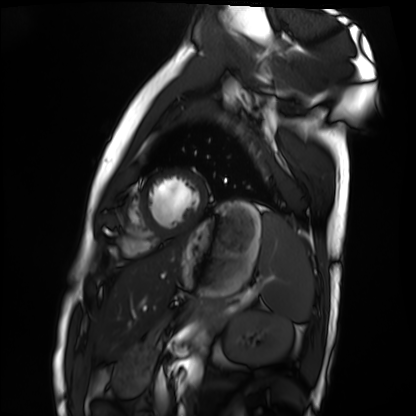
modality = cardiac MRI
subject group = healthy volunteer